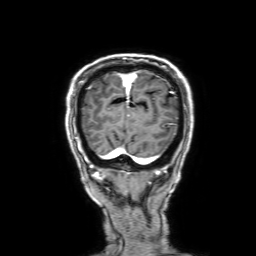
Clinical context:
3 Tesla brain MRI. Series: 3D T1-weighted with SENSE. Study: ring-enhancing brain masses.